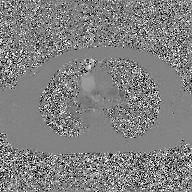
Q: What kind of scan is this?
A: 2D phase-contrast cine MRI of the ascending aorta, GAN super-resolution reconstruction.